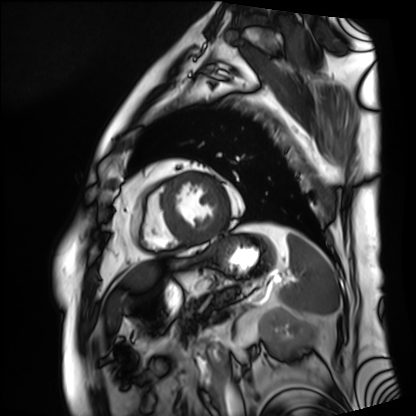
Summary:
Cardiac MRI. Subject group: patient.